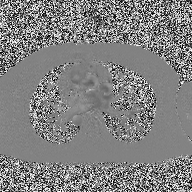
  modality:
    type: 2D phase-contrast cine MRI
    region: ascending aorta
    reconstruction: high-resolution GRAPPA acquisition